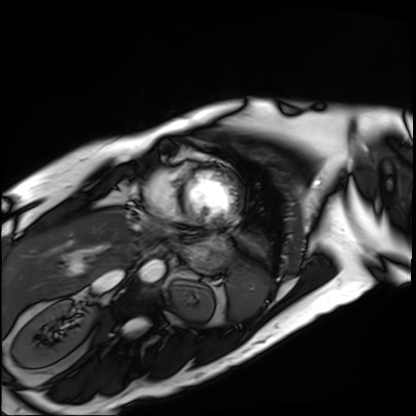
| field | value |
|---|---|
| modality | cardiac MRI |
| subject group | patient |